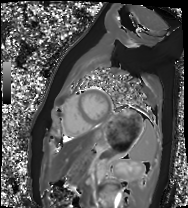
Cardiac MRI. Subject group: healthy volunteer.